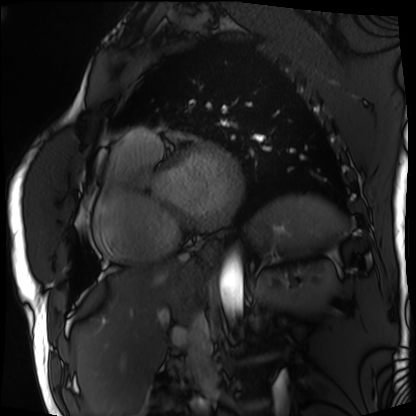
Summary:
Cardiac MRI. Subject group: patient.